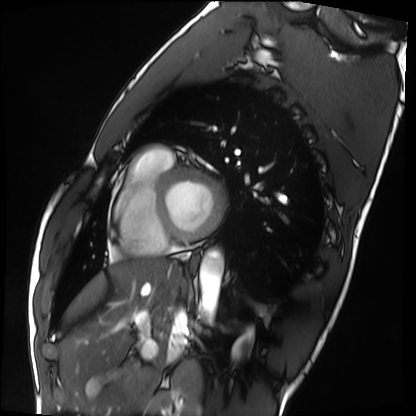
Case summary: Cardiac MRI. Subject group: healthy volunteer.